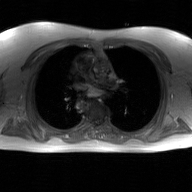
Summary:
2D phase-contrast cine MRI of the ascending aorta, GAN super-resolution reconstruction.